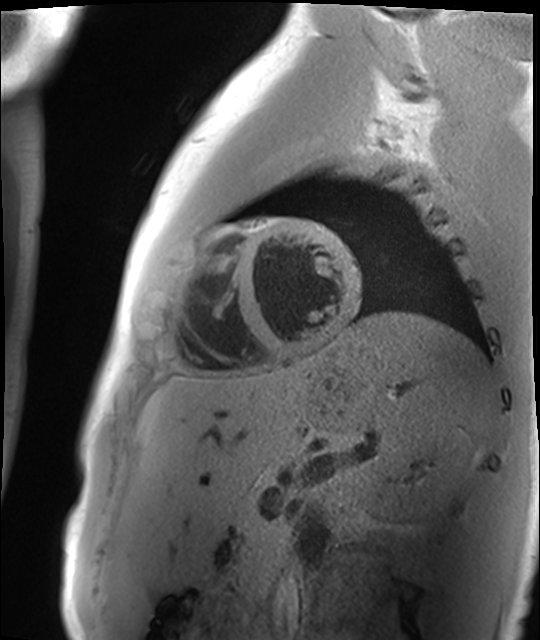
Cardiac MR image of the myocardium. Subject cohort: healthy volunteer.